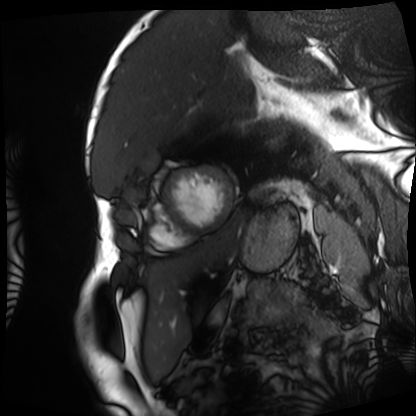
Q: What kind of scan is this?
A: Cardiac MRI.
Subject group: patient.